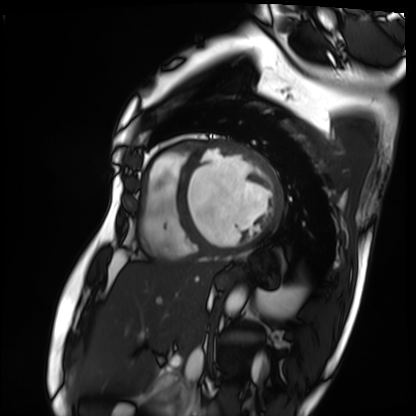
| field | value |
|---|---|
| modality | cardiac MRI |
| subject group | patient |